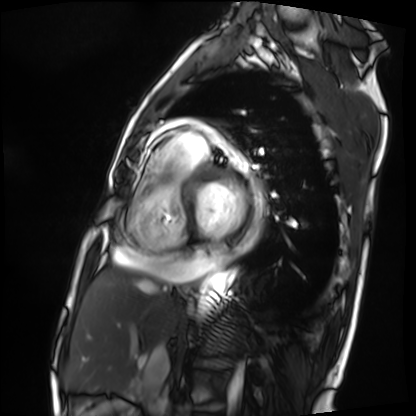
Summary: Cardiac MRI. Subject group: patient.